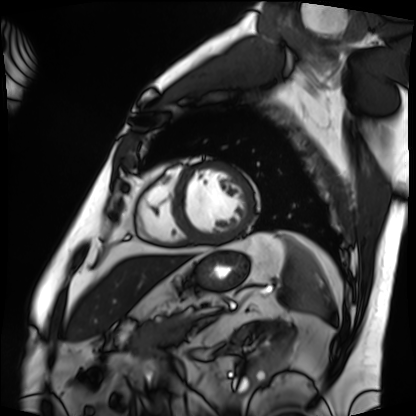
<scan>
<modality>cardiac MRI</modality>
<cohort>patient</cohort>
</scan>